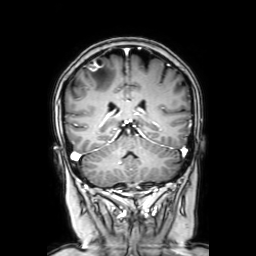
modality = 3 Tesla brain MRI; series = coronal with contrast; study = ring-enhancing brain masses.